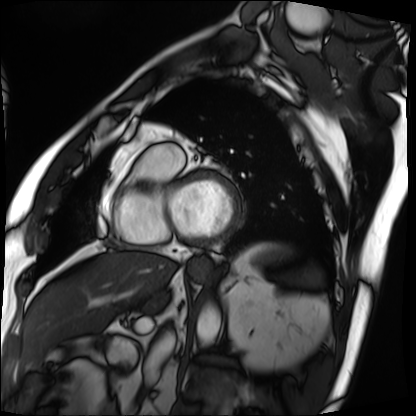
Summary: Cardiac MRI. Subject group: patient.